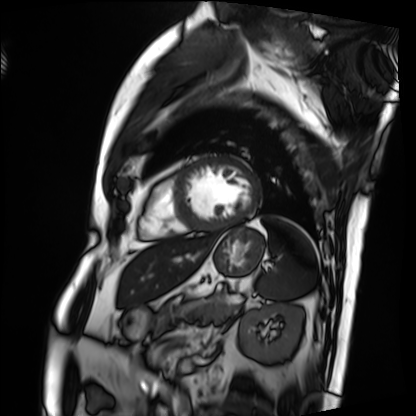
modality: cardiac MRI | subject group: patient.